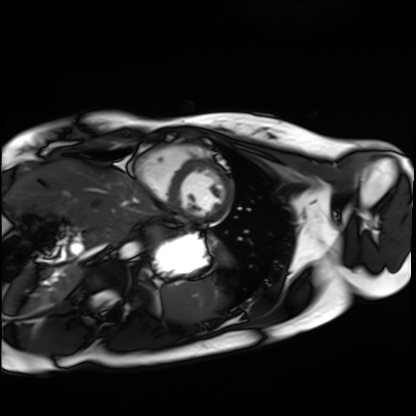
{"modality": "cardiac MRI", "cohort": "healthy volunteer"}